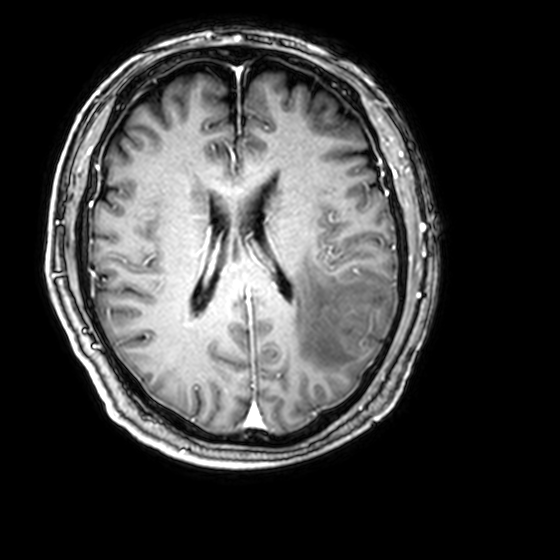
Case:
• modality · 3 Tesla brain MRI
• series · 3D T1-weighted with CLEAR
• study · ring-enhancing brain masses